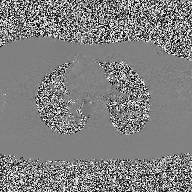
Summary:
2D phase-contrast cine MRI of the ascending aorta, high-resolution GRAPPA acquisition.